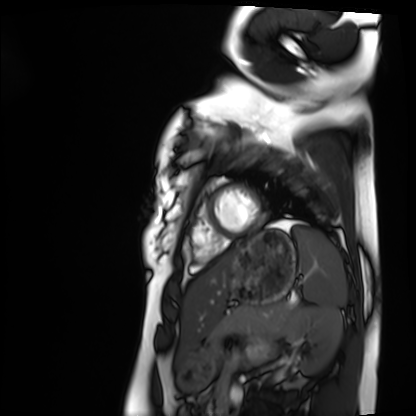
| field | value |
|---|---|
| modality | cardiac MRI |
| subject group | healthy volunteer |